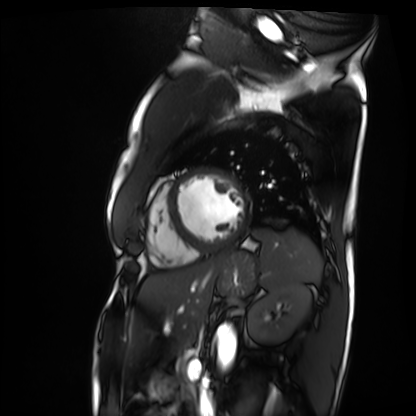
* modality — cardiac MRI
* subject group — patient